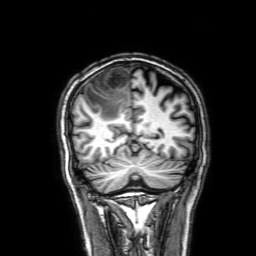
Case summary:
3 Tesla brain MRI. Series: 3D T1-weighted with SENSE. Study: ring-enhancing brain masses.